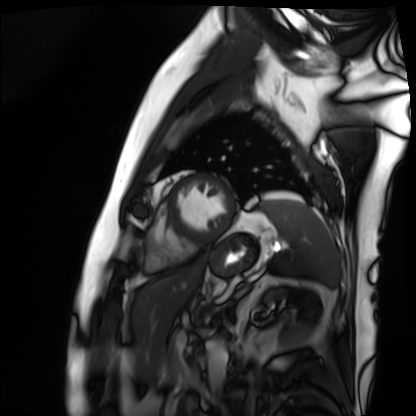
modality = cardiac MRI, subject group = patient.